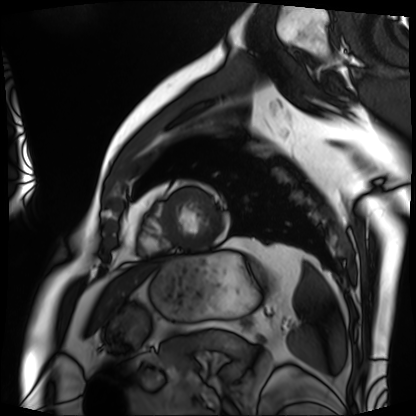
<study>
  <modality>cardiac MRI</modality>
  <cohort>patient</cohort>
</study>